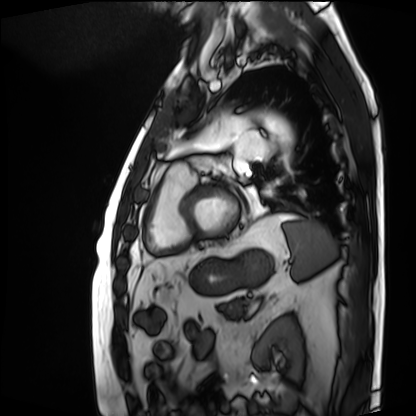
Cardiac MRI.
Subject group: patient.